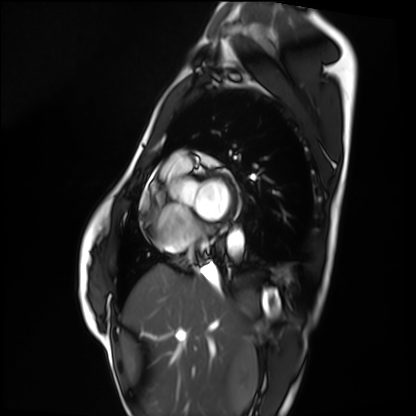
Q: What kind of scan is this?
A: Cardiac MRI.
Subject group: healthy volunteer.